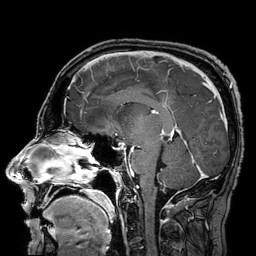
modality=3 Tesla brain MRI; series=3D T1-weighted turbo field echo with SENSE; study=ring-enhancing brain masses.